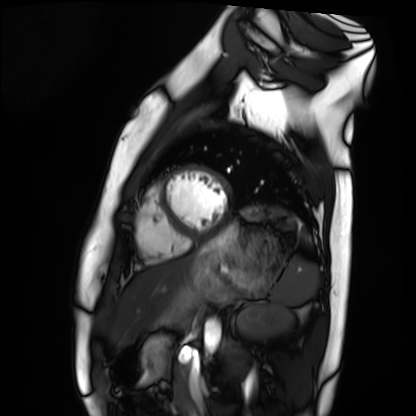
Cardiac MRI.
Subject group: healthy volunteer.